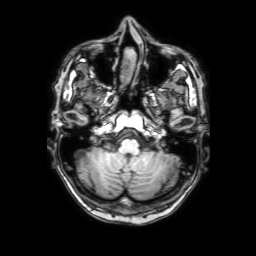
modality: 3 Tesla brain MRI
series: 3D T1-weighted with SENSE
study: ring-enhancing brain masses